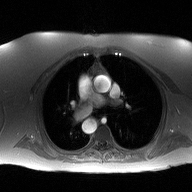
Clinical context: 2D phase-contrast cine MRI of the ascending aorta, high-resolution GRAPPA acquisition.